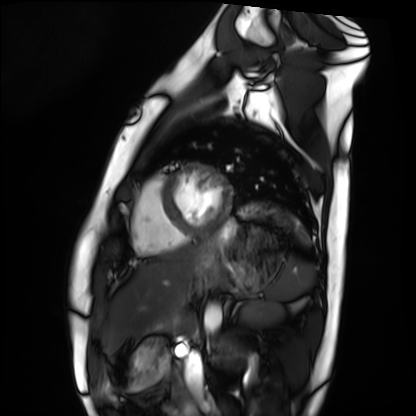
Summary: Cardiac MRI. Subject group: healthy volunteer.